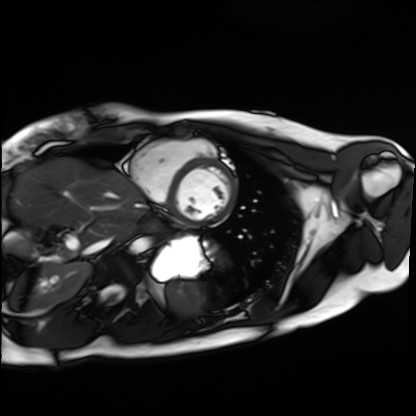
  modality: cardiac MRI
  cohort: healthy volunteer